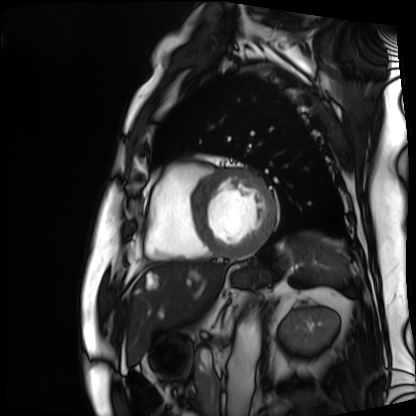
| field | value |
|---|---|
| modality | cardiac MRI |
| subject group | patient |